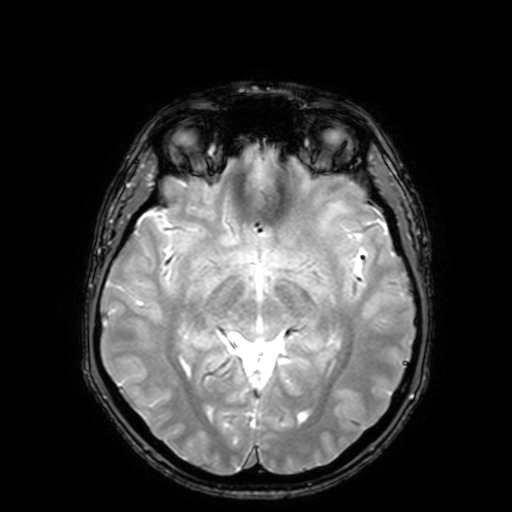
{
  "modality": {
    "type": "brain MRI",
    "field_strength": "3T"
  },
  "series": "T2-weighted fast field echo with SENSE",
  "study_topic": "ring-enhancing brain masses"
}